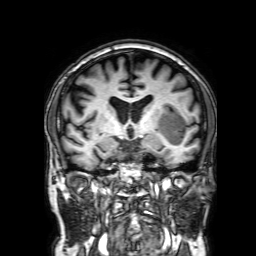
3 Tesla brain MRI. Series: 3D T1-weighted with SENSE. Study: ring-enhancing brain masses.